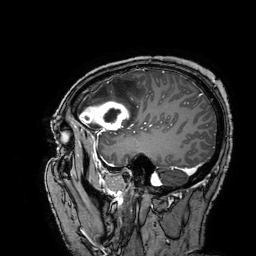
<scan>
<modality>
  <type>brain MRI</type>
  <field_strength>3T</field_strength>
</modality>
<series>3D T1-weighted turbo field echo with SENSE</series>
<study_topic>ring-enhancing brain masses</study_topic>
</scan>